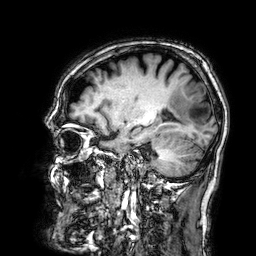
Summary:
3 Tesla brain MRI. Series: 3D T1-weighted. Study: ring-enhancing brain masses.